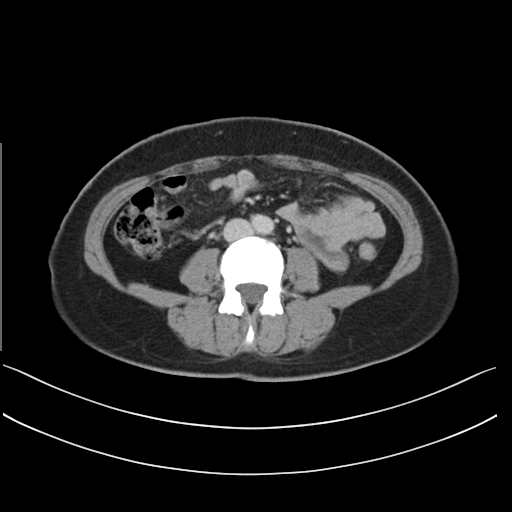
Multiphase abdominal CT, liver, delayed phase. Patient: female, age 44. History: prior chemotherapy.